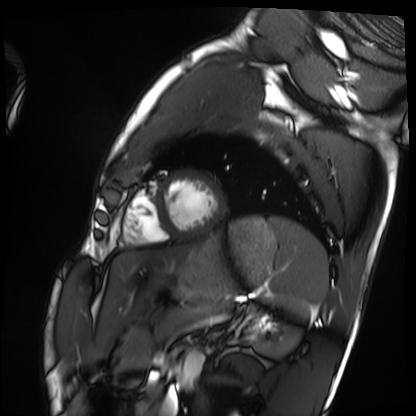
Cardiac MRI. Subject group: healthy volunteer.